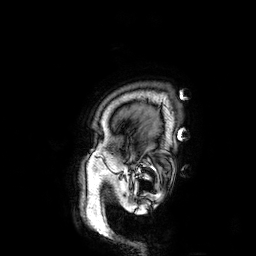
modality: 3 Tesla brain MRI; series: 3D T1-weighted; study: ring-enhancing brain masses.